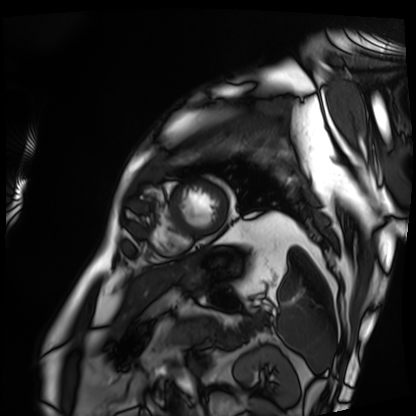
- modality: cardiac MRI
- subject group: patient